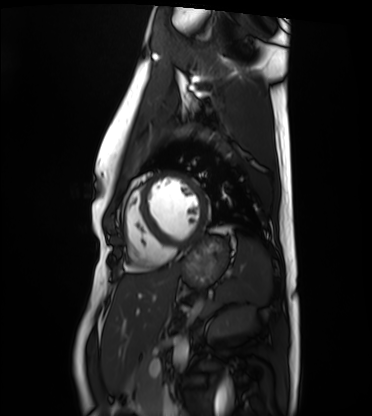
Clinical context:
Cardiac MRI. Subject group: healthy volunteer.